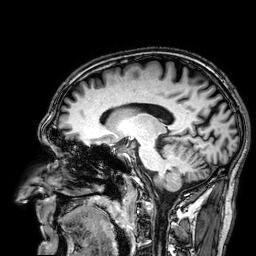
3 Tesla brain MRI. Series: 3D T1-weighted. Study: ring-enhancing brain masses.